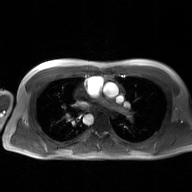
Q: What kind of scan is this?
A: 2D phase-contrast cine MRI of the ascending aorta, GAN super-resolution reconstruction.